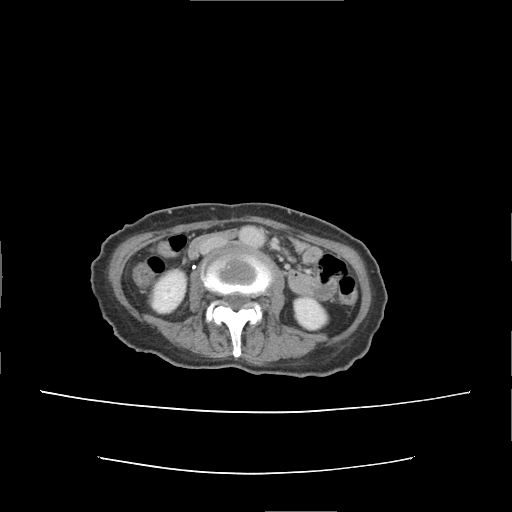
modality=multiphase abdominal CT, liver, delayed phase | patient=female, age 55 | history=prior chemotherapy.